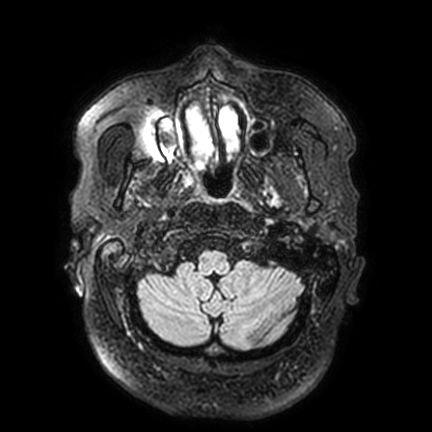
{
  "modality": {
    "type": "brain MRI",
    "field_strength": "3T"
  },
  "series": "FLAIR VISTA with SENSE",
  "study_topic": "ring-enhancing brain masses"
}